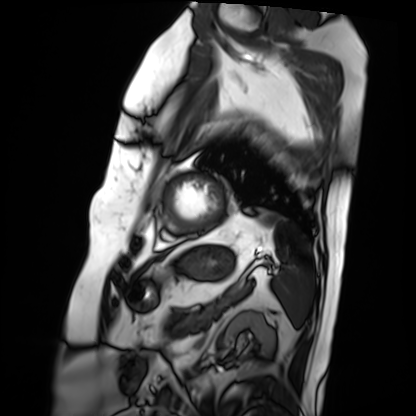
Cardiac MRI. Subject group: patient.